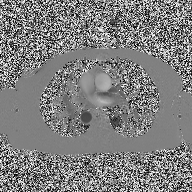
Summary:
2D phase-contrast cine MRI of the ascending aorta, high-resolution GRAPPA acquisition.